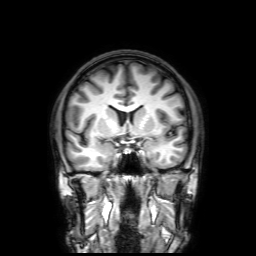
3 Tesla brain MRI. Series: 3D T1-weighted with SENSE. Study: ring-enhancing brain masses.